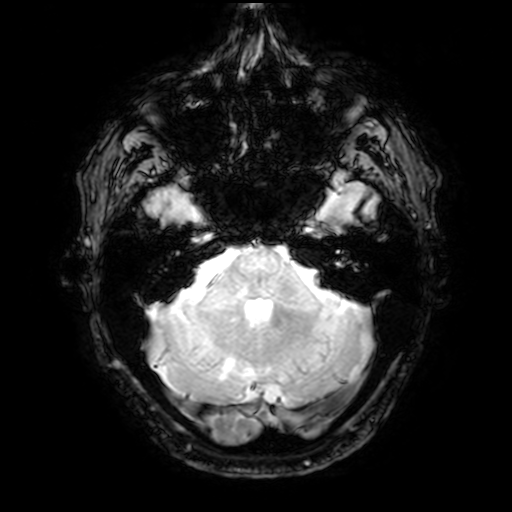
modality=3 Tesla brain MRI; study=ring-enhancing brain masses.